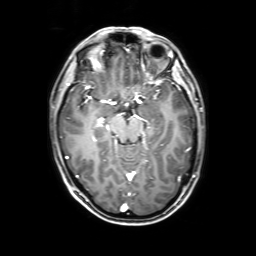
Clinical context: 3 Tesla brain MRI. Series: 3D T1-weighted with SENSE. Study: ring-enhancing brain masses.